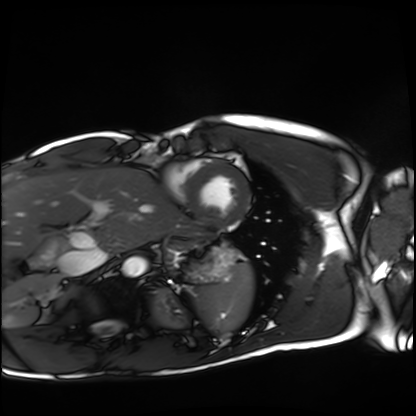
  modality: cardiac MRI
  cohort: healthy volunteer